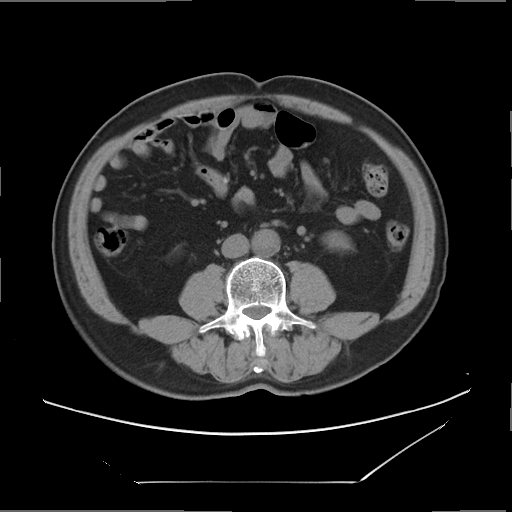
Clinical context: Multiphase abdominal CT, liver, non-contrast phase. Patient: male, age 60.